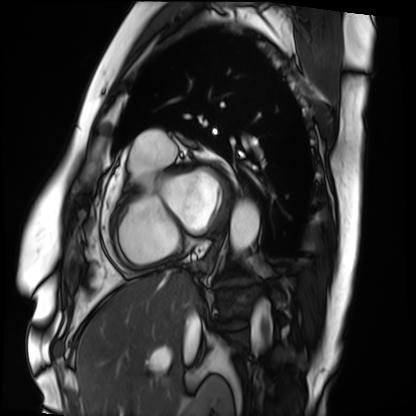
– modality: cardiac MRI
– subject group: patient